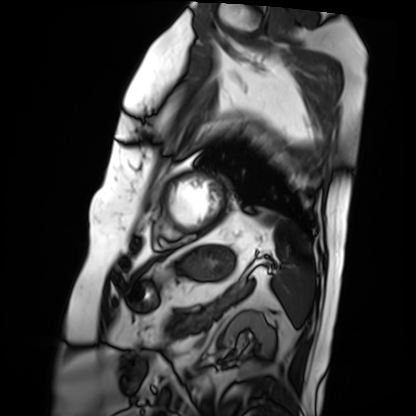
| field | value |
|---|---|
| modality | cardiac MRI |
| subject group | patient |